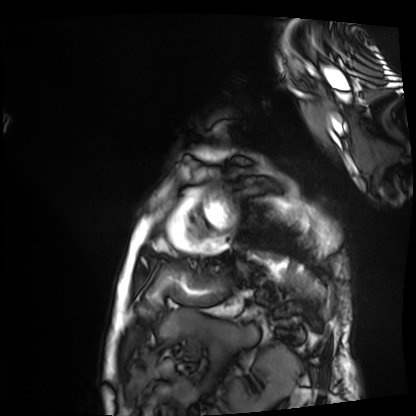
Cardiac MRI.
Subject group: patient.